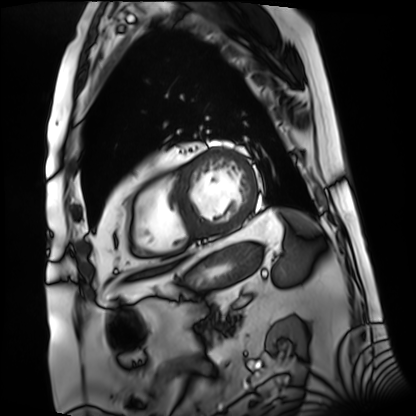
Case summary: Cardiac MRI. Subject group: patient.